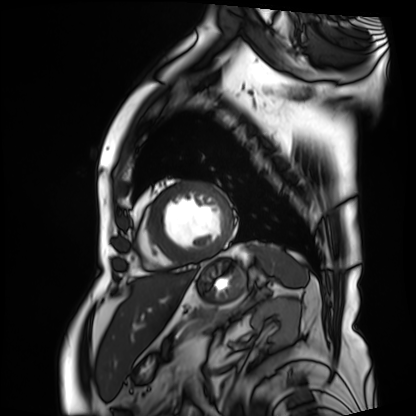
Cardiac MRI. Subject group: patient.